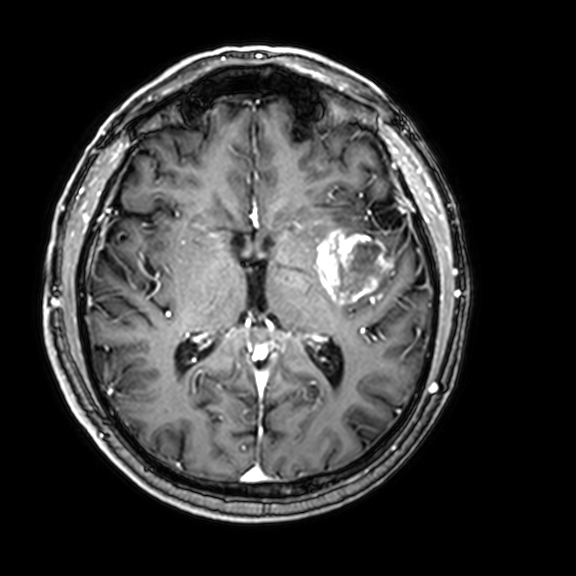
Case summary:
3 Tesla brain MRI. Series: 3D T1-weighted with CLEAR. Study: ring-enhancing brain masses.